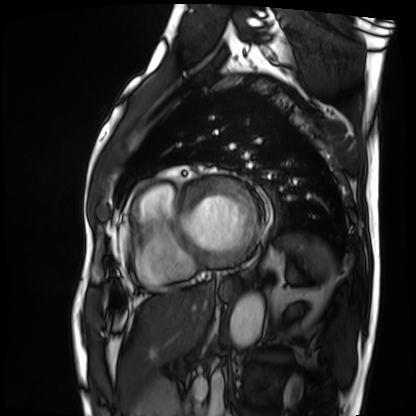
Summary:
Cardiac MRI. Subject group: patient.